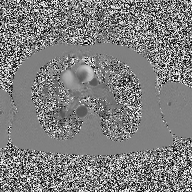
modality: 2D phase-contrast cine MRI of the ascending aorta.